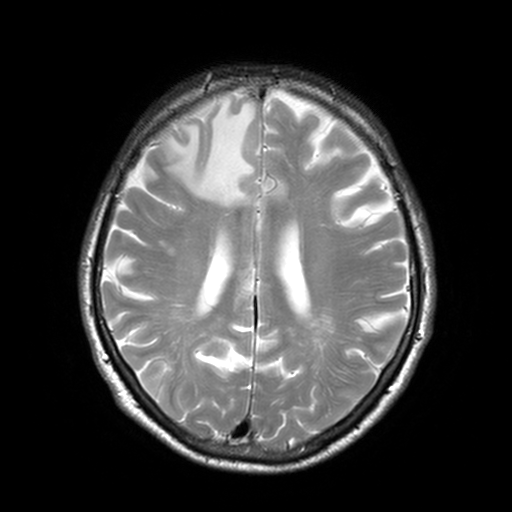
modality = 3 Tesla brain MRI
series = T2-weighted turbo spin echo, 3 mm
study = ring-enhancing brain masses